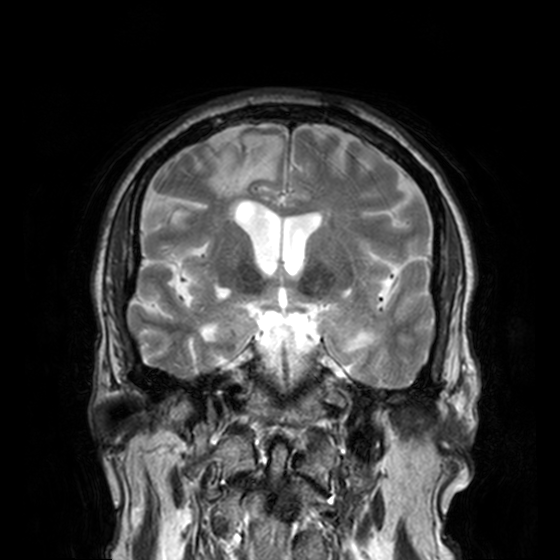
3 Tesla brain MRI. Series: T2-weighted turbo spin echo, 3 mm. Study: ring-enhancing brain masses.